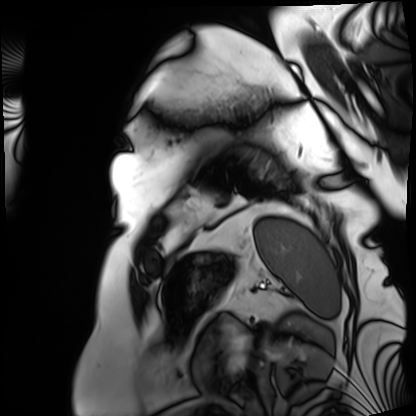
Case:
* modality · cardiac MRI
* subject group · patient